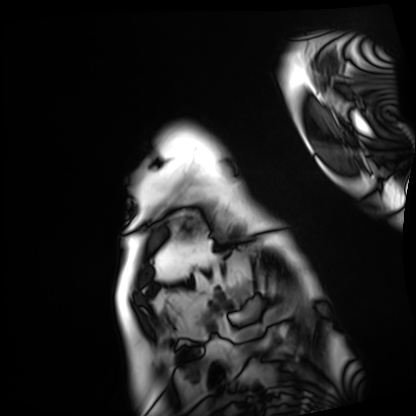
* modality · cardiac MRI
* subject group · patient